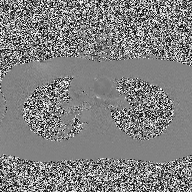
<study>
<modality>
  <type>2D phase-contrast cine MRI</type>
  <region>ascending aorta</region>
  <reconstruction>high-resolution GRAPPA acquisition</reconstruction>
</modality>
</study>